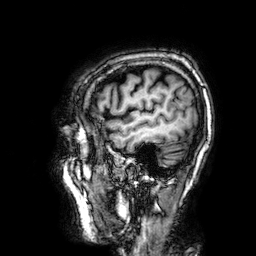
Q: What kind of scan is this?
A: 3 Tesla brain MRI.
Q: Series?
A: 3D T1-weighted.
Study: ring-enhancing brain masses.